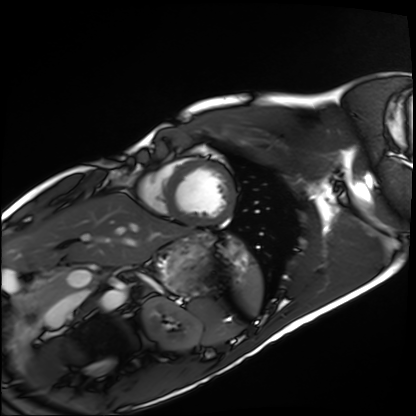
– modality — cardiac MRI
– subject group — healthy volunteer